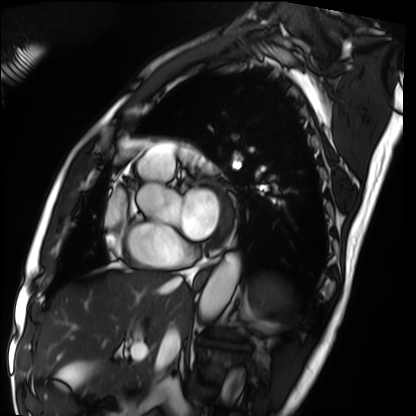
{"modality": "cardiac MRI", "cohort": "patient"}